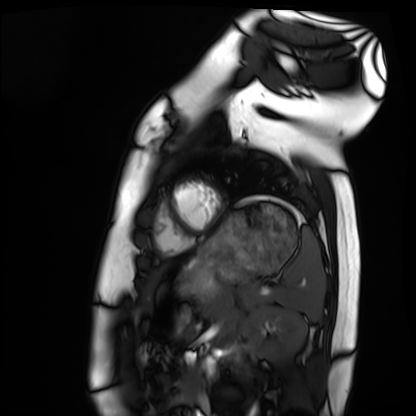
Case:
• modality · cardiac MRI
• subject group · healthy volunteer